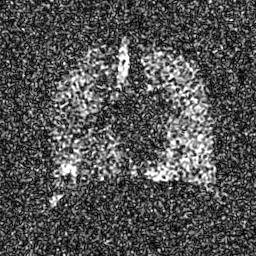
Hyperpolarized 129Xe ventilation MRI of the lungs. SNR level 7 of 8 (the deposit holds this scan as its native image and as seven SNR-degraded versions).